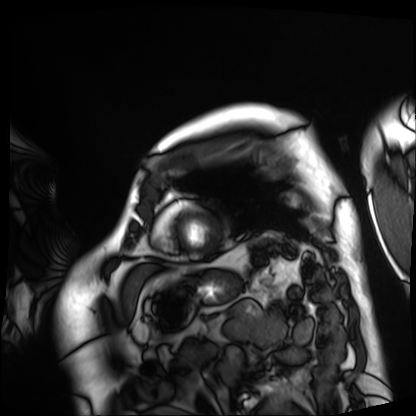
<scan>
  <modality>cardiac MRI</modality>
  <cohort>patient</cohort>
</scan>